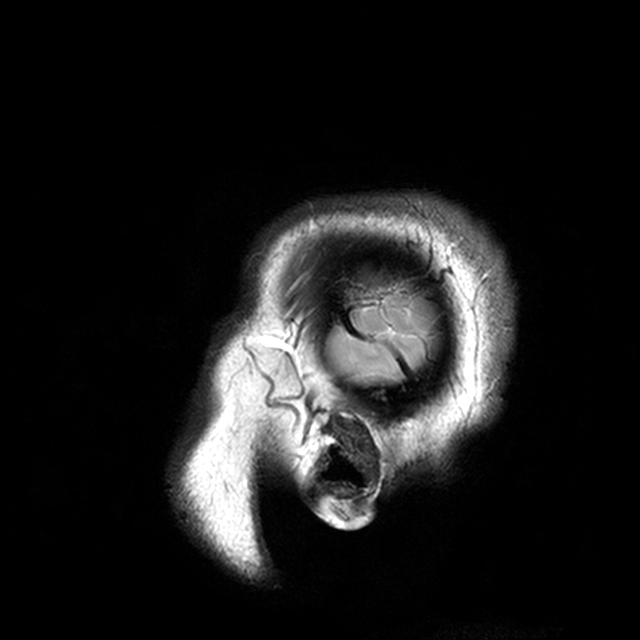
Clinical context: 3 Tesla brain MRI. Series: T2-weighted turbo spin echo with CLEAR. Study: ring-enhancing brain masses.